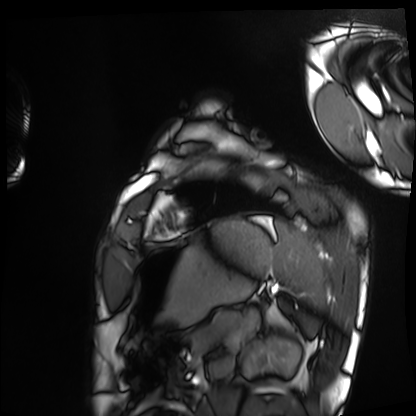
Cardiac MRI. Subject group: healthy volunteer.